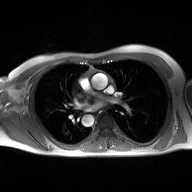
2D phase-contrast cine MRI of the ascending aorta, high-resolution GRAPPA acquisition.